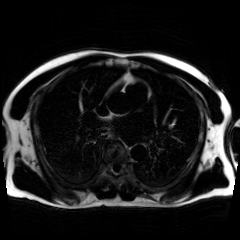
Chemical-shift-encoded cardiac MRI.